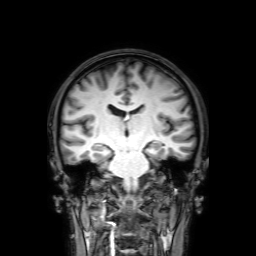
modality — 3 Tesla brain MRI
series — 3D T1-weighted with SENSE
study — ring-enhancing brain masses